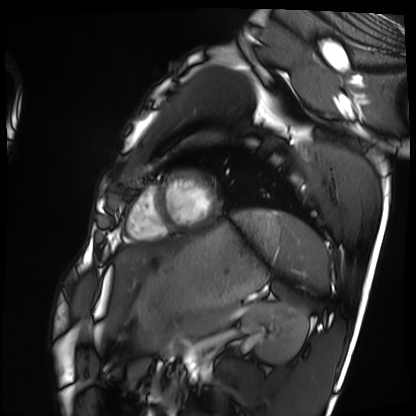
Cardiac MRI.
Subject group: healthy volunteer.